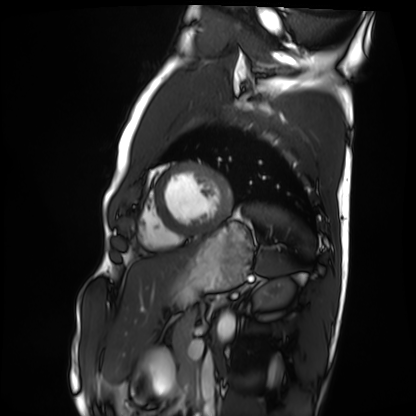
Cardiac MRI.
Subject group: healthy volunteer.